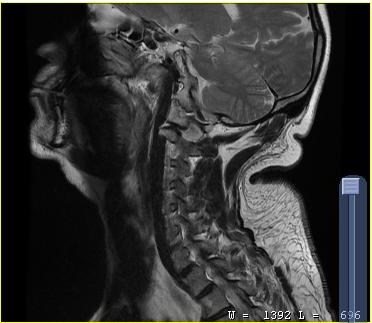
MRI of the cervical spine. Study: cervical spondylosis.